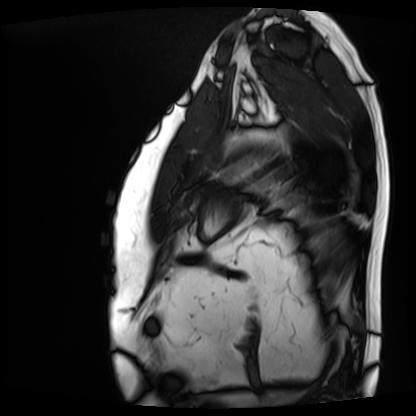
Cardiac MRI. Subject group: patient.